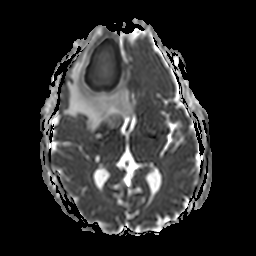
Q: What kind of scan is this?
A: 3 Tesla brain MRI.
Q: Series?
A: Apparent diffusion coefficient (ADC) map.
Study: ring-enhancing brain masses.